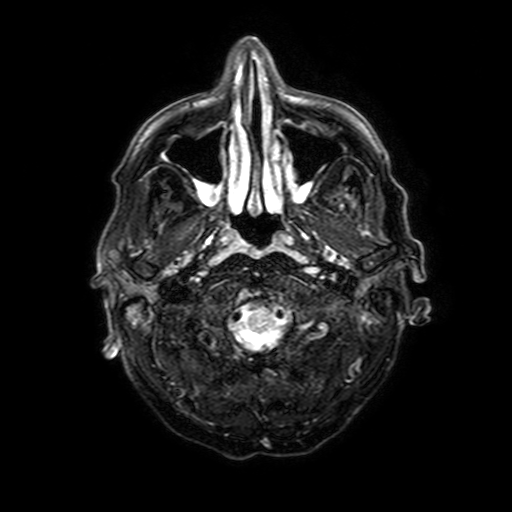
  modality:
    type: brain MRI
    field_strength: 3T
  series: FLAIR with SPAIR, 3 mm
  study_topic: ring-enhancing brain masses